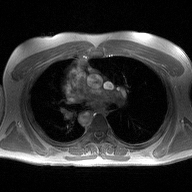
2D phase-contrast cine MRI of the ascending aorta, high-resolution GRAPPA acquisition.